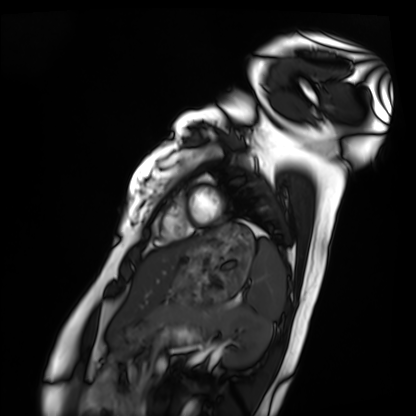
Summary: Cardiac MRI. Subject group: healthy volunteer.